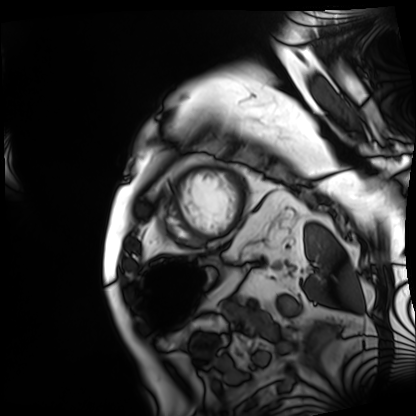
modality — cardiac MRI; subject group — patient.